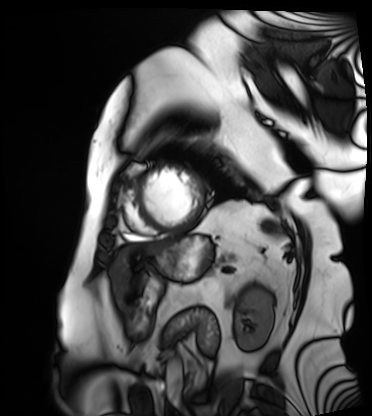
modality: cardiac MRI
subject group: patient